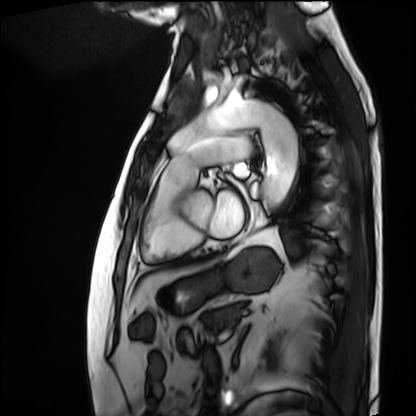
Cardiac MRI.
Subject group: patient.